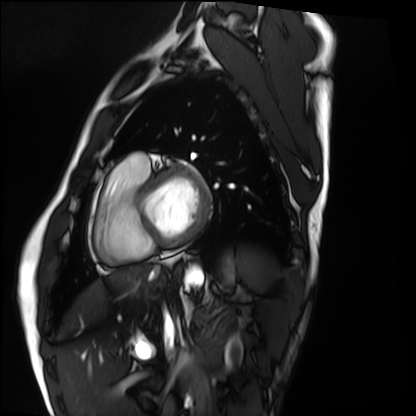
Cardiac MRI. Subject group: healthy volunteer.